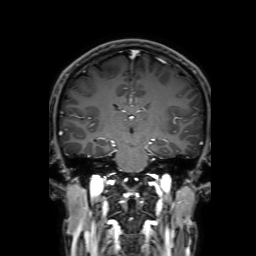
Case summary:
3 Tesla brain MRI. Series: 3D T1-weighted with SENSE. Study: ring-enhancing brain masses.